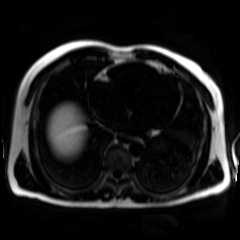
modality: chemical-shift-encoded cardiac MRI.